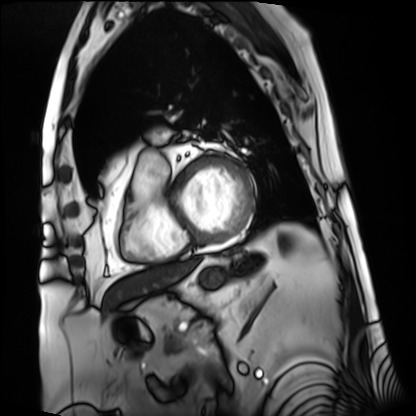
Cardiac MRI. Subject group: patient.